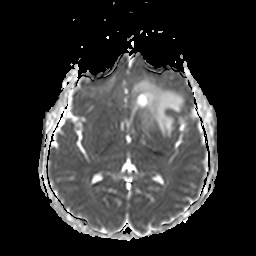
Summary:
3 Tesla brain MRI. Series: apparent diffusion coefficient (ADC) map. Study: ring-enhancing brain masses.